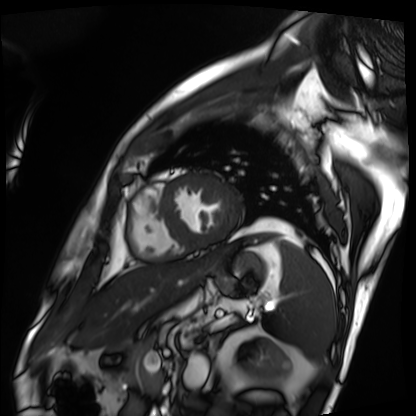
Q: What kind of scan is this?
A: Cardiac MRI.
Subject group: patient.